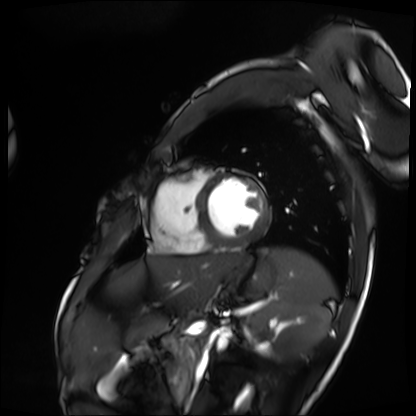
{
  "modality": "cardiac MRI",
  "cohort": "patient"
}